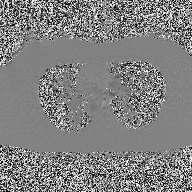
{"modality": {"type": "2D phase-contrast cine MRI", "region": "ascending aorta", "reconstruction": "high-resolution GRAPPA acquisition"}}